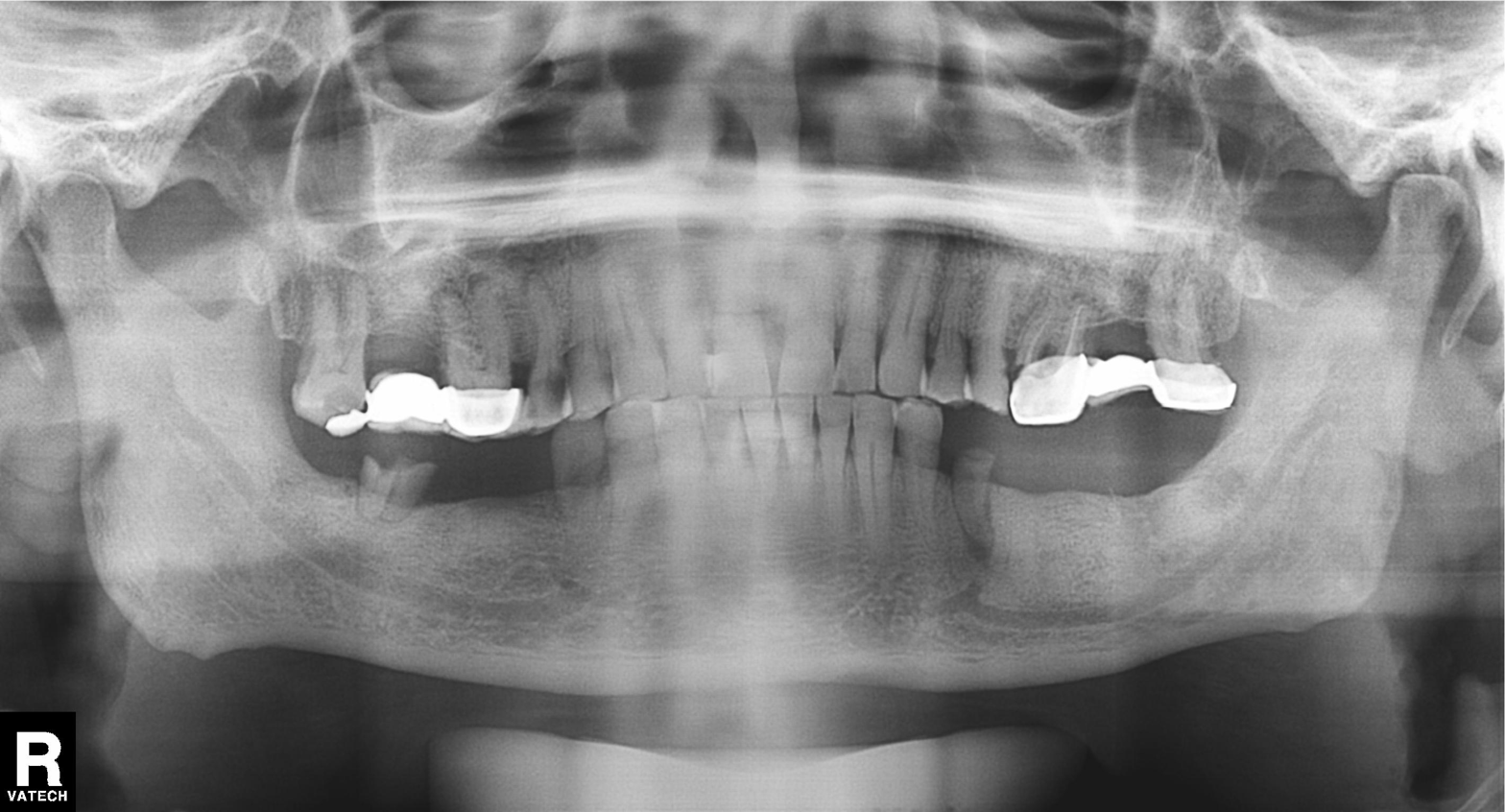
Panoramic dental radiograph (orthopantomogram). Finding: dental caries (cavities).